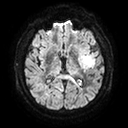
<record>
  <modality>
    <type>brain MRI</type>
    <field_strength>3T</field_strength>
  </modality>
  <series>diffusion tensor imaging (medium iso)</series>
  <study_topic>ring-enhancing brain masses</study_topic>
</record>